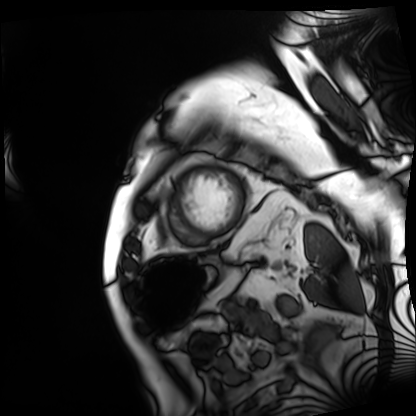
modality: cardiac MRI
subject group: patient